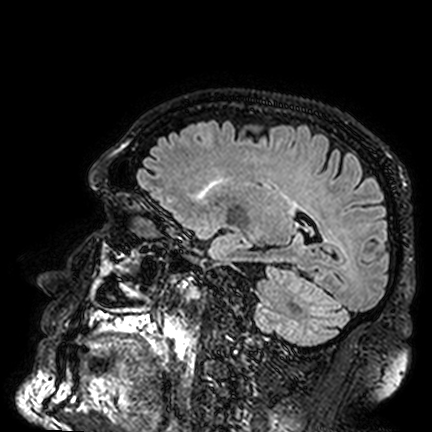
3 Tesla brain MRI. Series: FLAIR VISTA. Study: ring-enhancing brain masses.